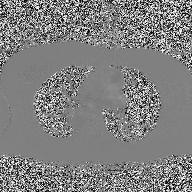
Clinical context:
2D phase-contrast cine MRI of the ascending aorta, high-resolution GRAPPA acquisition.